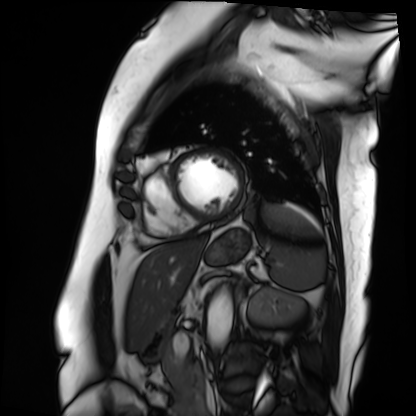
Summary: Cardiac MRI. Subject group: patient.